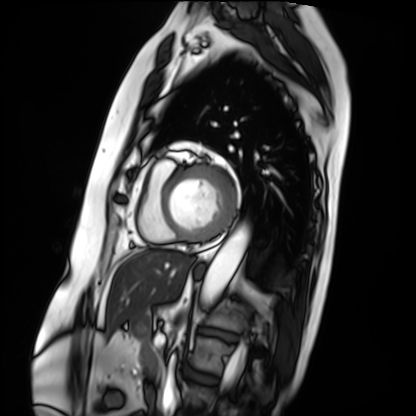
Cardiac MRI. Subject group: patient.